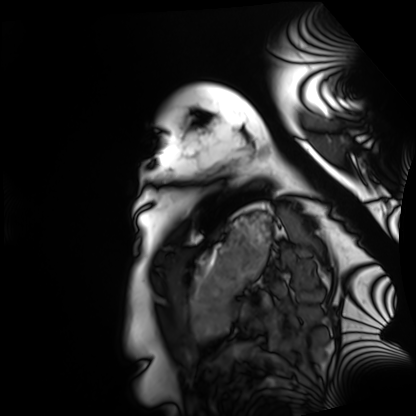
Summary:
Cardiac MRI. Subject group: healthy volunteer.